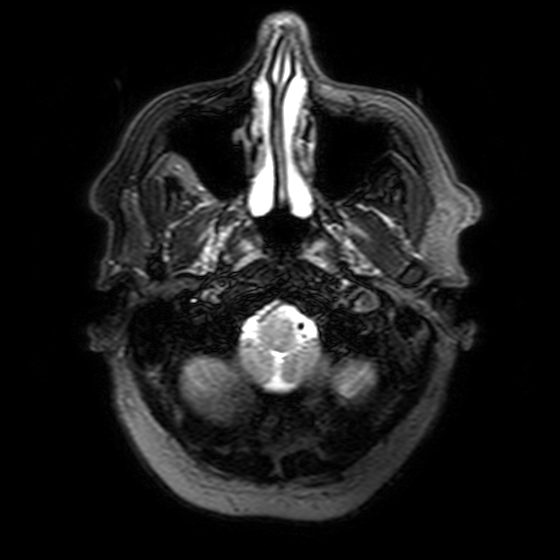
3 Tesla brain MRI. Series: T2-weighted FLAIR. Study: ring-enhancing brain masses.